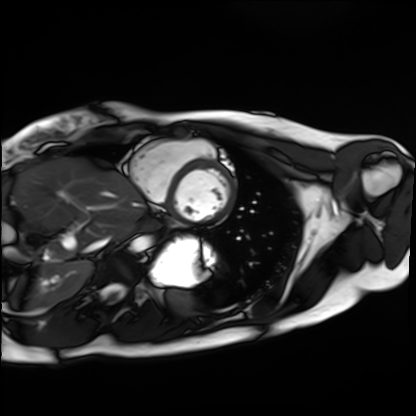
Summary:
Cardiac MRI. Subject group: healthy volunteer.